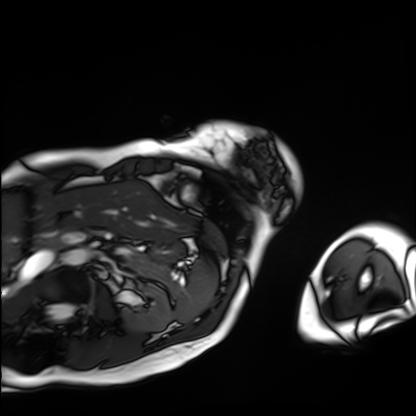
Cardiac MRI. Subject group: patient.